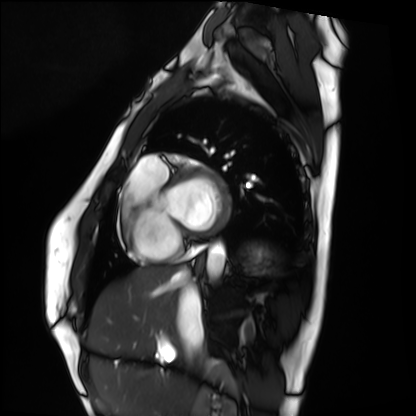
- modality: cardiac MRI
- subject group: healthy volunteer